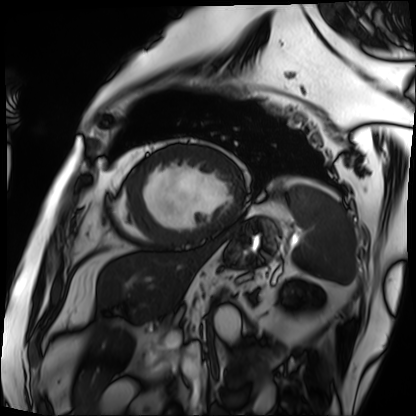
Cardiac MRI. Subject group: patient.